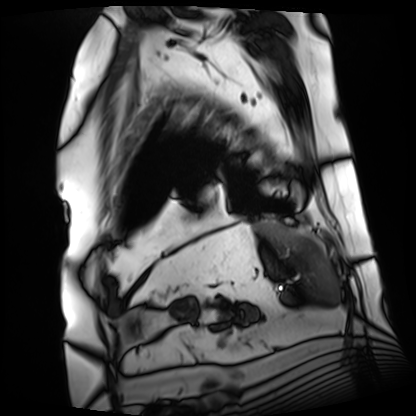
Summary: Cardiac MRI. Subject group: patient.